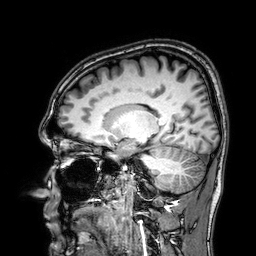
| field | value |
|---|---|
| modality | 3 Tesla brain MRI |
| series | 3D T1-weighted |
| study | ring-enhancing brain masses |